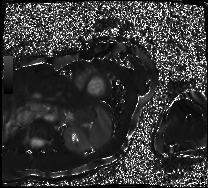
Cardiac MRI. Subject group: patient.